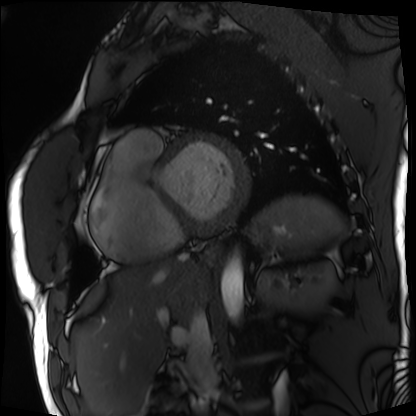
{
  "modality": "cardiac MRI",
  "cohort": "patient"
}